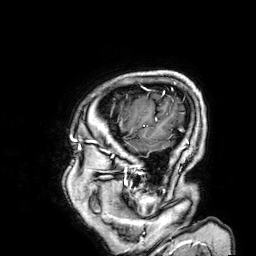
Summary: 3 Tesla brain MRI. Series: 3D T1-weighted. Study: ring-enhancing brain masses.